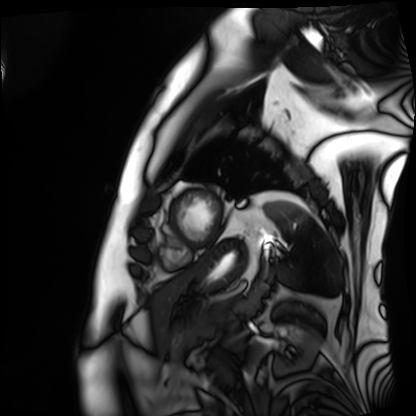
modality: cardiac MRI
subject group: patient